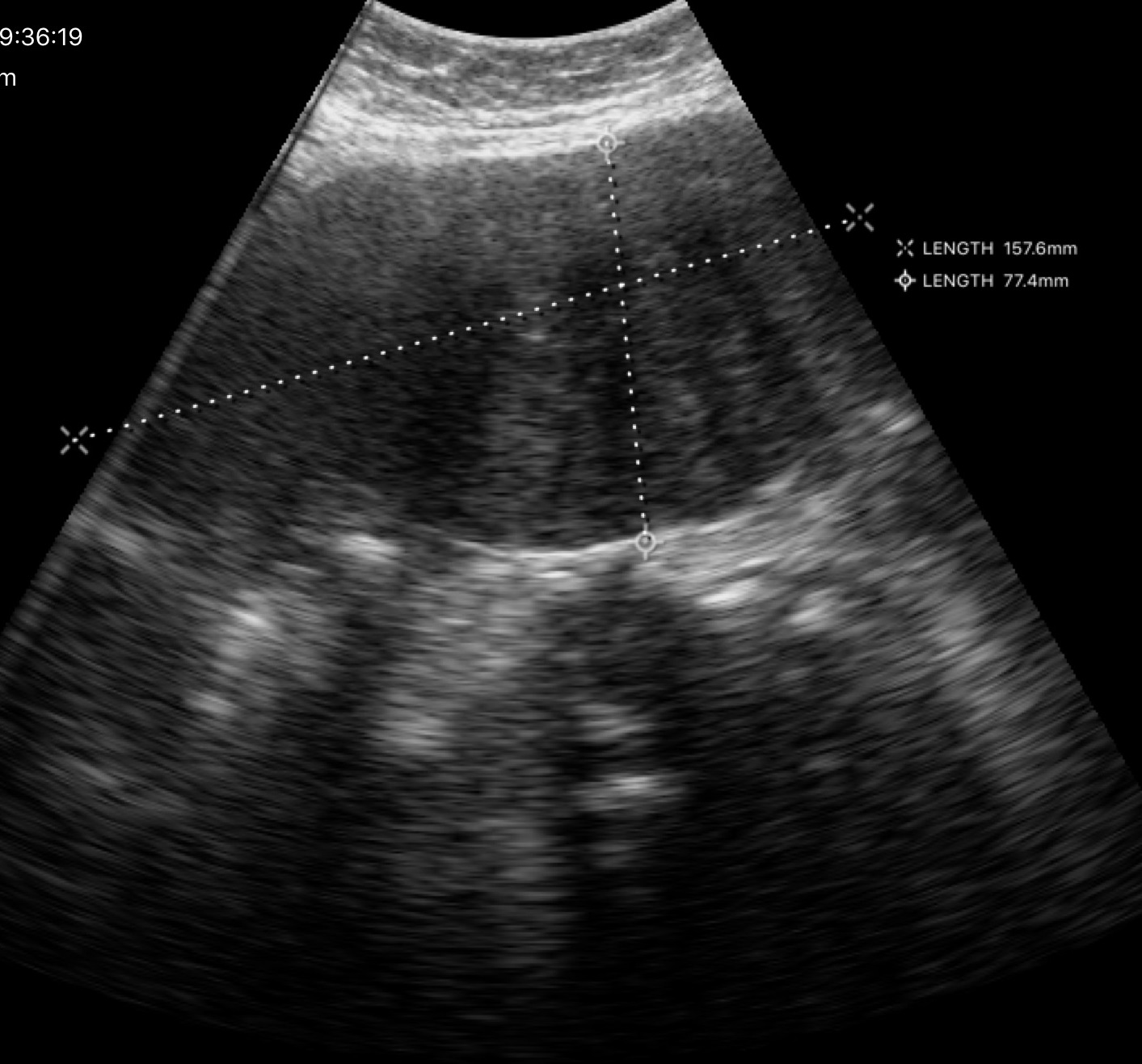
modality: genitourinary ultrasound.